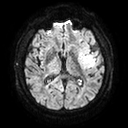
Summary:
3 Tesla brain MRI. Series: diffusion tensor imaging (medium iso). Study: ring-enhancing brain masses.